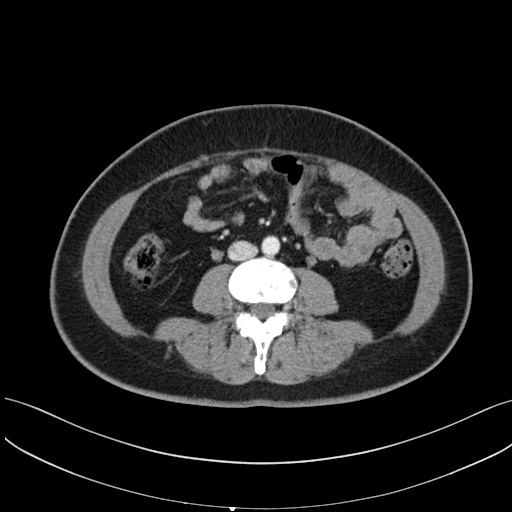
– modality — multiphase abdominal CT, liver, arterial phase
– patient — female, age 43
– history — prior chemotherapy